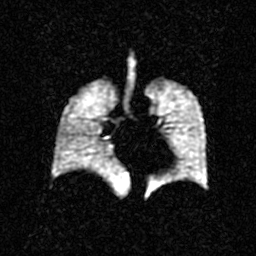
Hyperpolarized 129Xe ventilation MRI of the lungs.
SNR level 2 of 8 (the deposit holds this scan as its native image and as seven SNR-degraded versions).